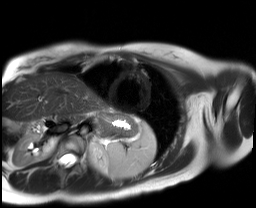
modality=cardiac MR image of the myocardium; subject cohort=healthy volunteer.